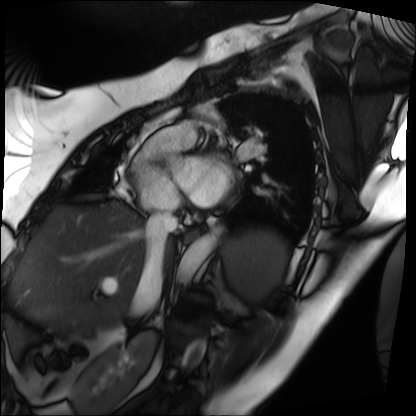
<record>
<modality>cardiac MRI</modality>
<cohort>patient</cohort>
</record>